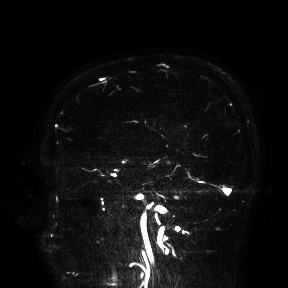
<record>
  <modality>
    <type>brain MRI</type>
    <field_strength>3T</field_strength>
  </modality>
  <study_topic>ring-enhancing brain masses</study_topic>
</record>